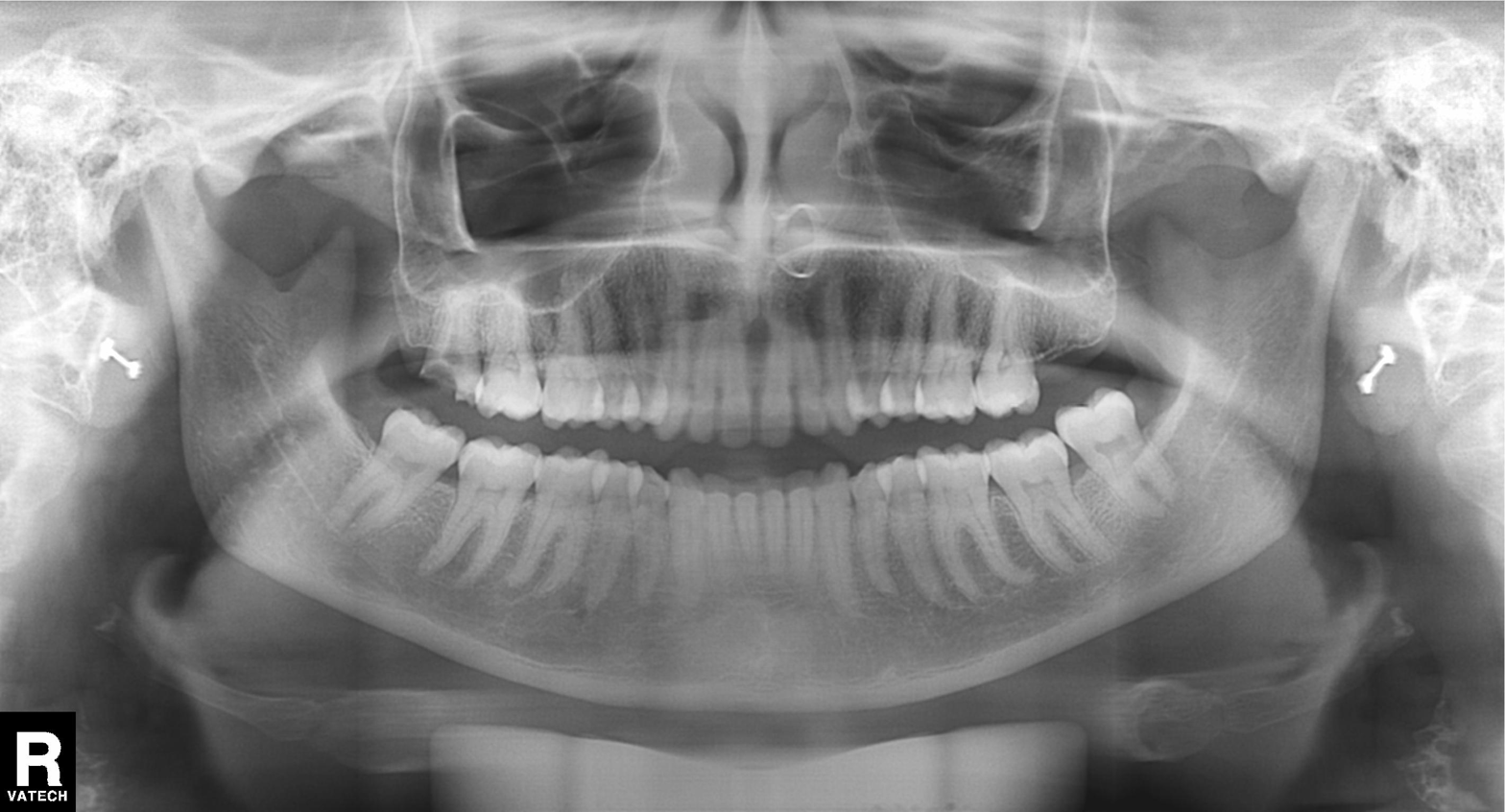
Findings:
* modality — panoramic dental radiograph (orthopantomogram)
* finding — alveolar bone loss